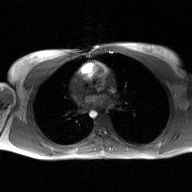
2D phase-contrast cine MRI of the ascending aorta, GAN super-resolution reconstruction.